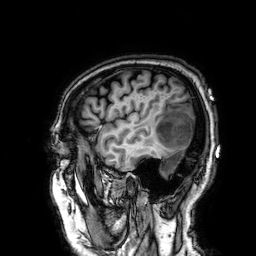
modality — 3 Tesla brain MRI
series — 3D T1-weighted
study — ring-enhancing brain masses